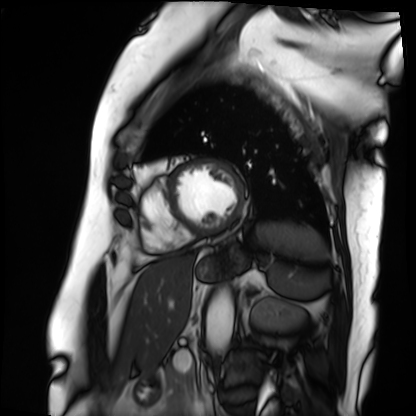
Clinical context: Cardiac MRI. Subject group: patient.